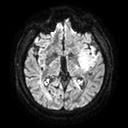
modality:
  type: brain MRI
  field_strength: 3T
series: diffusion tensor imaging (medium iso)
study_topic: ring-enhancing brain masses